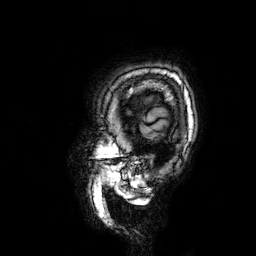
• modality — 3 Tesla brain MRI
• series — 3D T1-weighted
• study — ring-enhancing brain masses